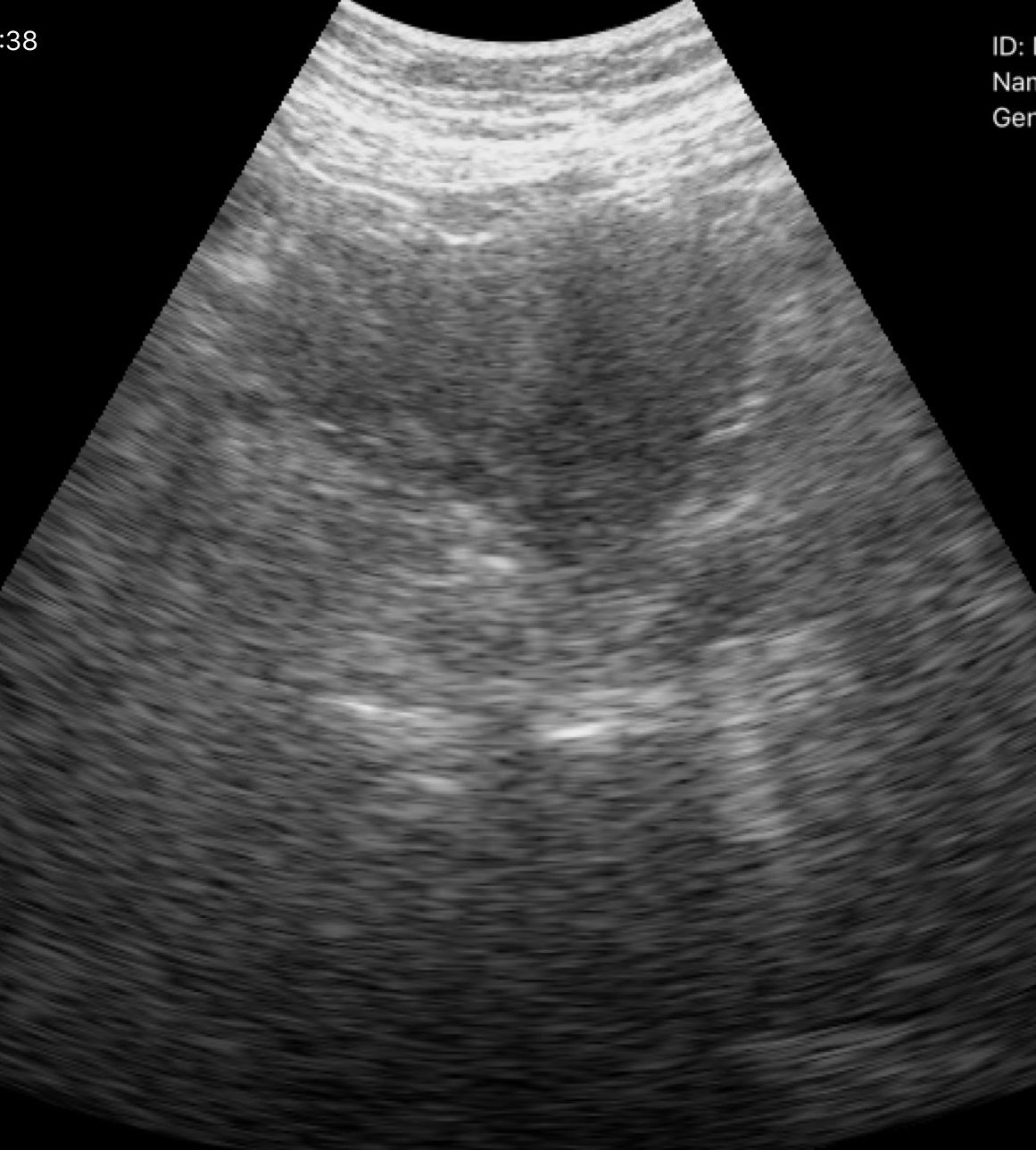
Clinical context: Genitourinary ultrasound.